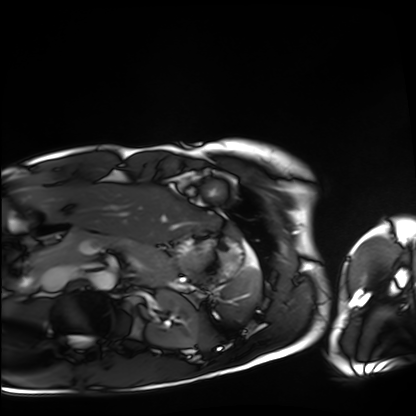
Summary:
Cardiac MRI. Subject group: healthy volunteer.